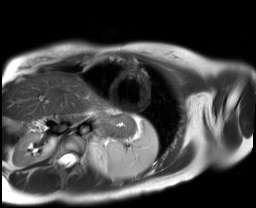
Cardiac MR image of the myocardium. Subject cohort: healthy volunteer.